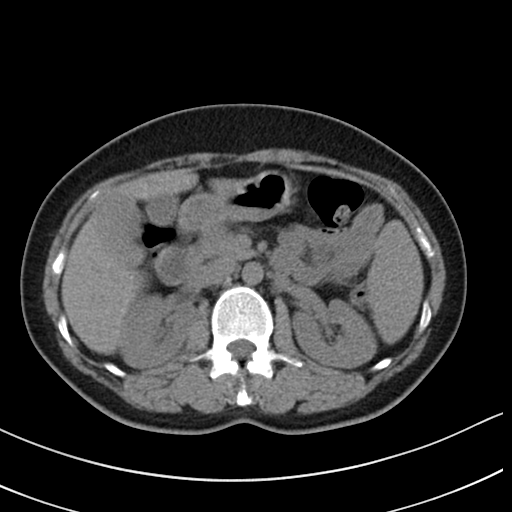
{
  "modality": {
    "type": "multiphase abdominal CT",
    "region": "liver",
    "phase": "non-contrast"
  },
  "patient": {
    "sex": "female",
    "age": 46
  }
}